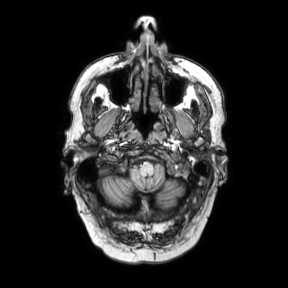
3 Tesla brain MRI.
Series: axial.
Study: ring-enhancing brain masses.